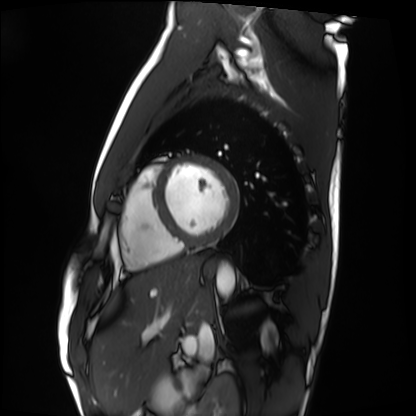
Cardiac MRI.
Subject group: healthy volunteer.